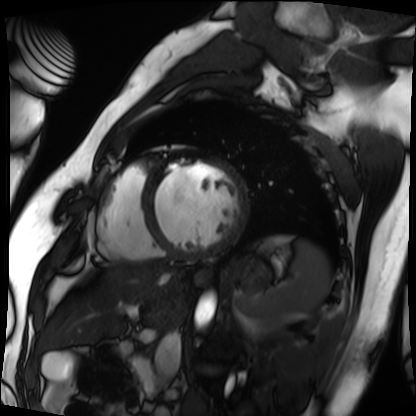
{
  "modality": "cardiac MRI",
  "cohort": "patient"
}